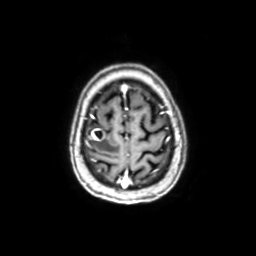
Case:
* modality · 3 Tesla brain MRI
* series · axial with contrast
* study · ring-enhancing brain masses